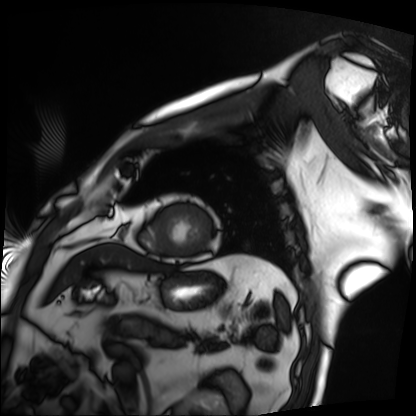
Q: What kind of scan is this?
A: Cardiac MRI.
Subject group: patient.